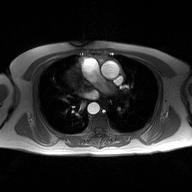
2D phase-contrast cine MRI of the ascending aorta, high-resolution GRAPPA acquisition.